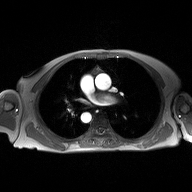
2D phase-contrast cine MRI of the ascending aorta, high-resolution GRAPPA acquisition.